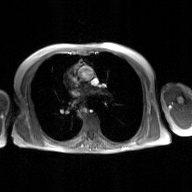
Summary:
2D phase-contrast cine MRI of the ascending aorta, GAN super-resolution reconstruction.